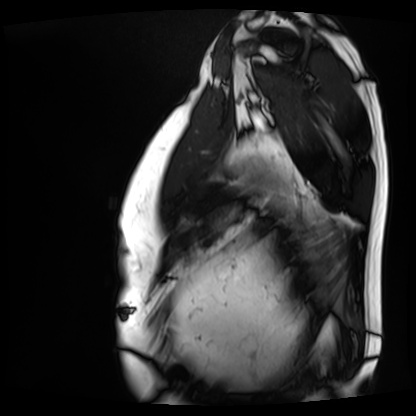
modality=cardiac MRI | subject group=patient.